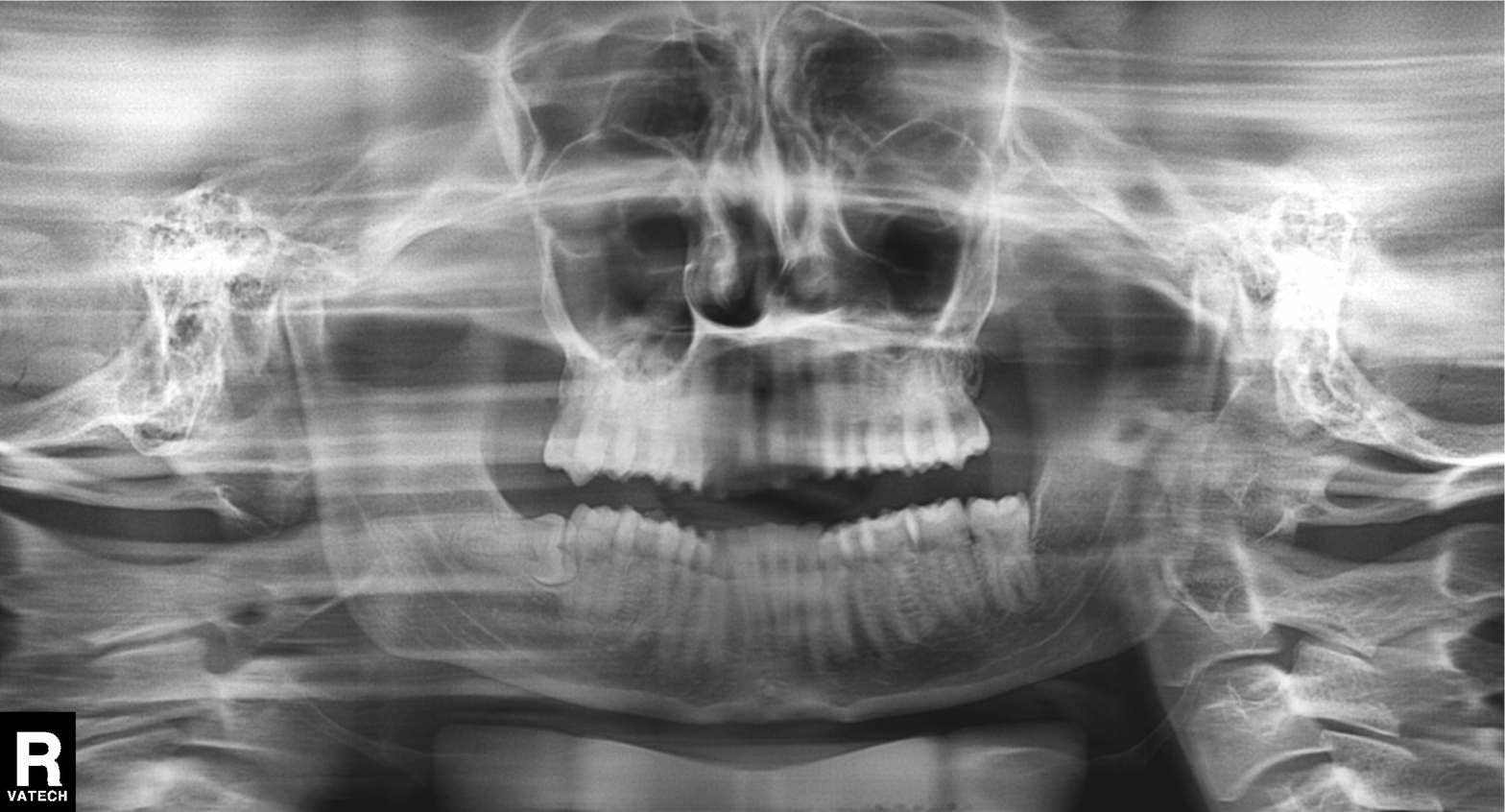
Panoramic dental radiograph (orthopantomogram).
Finding: alveolar bone loss.